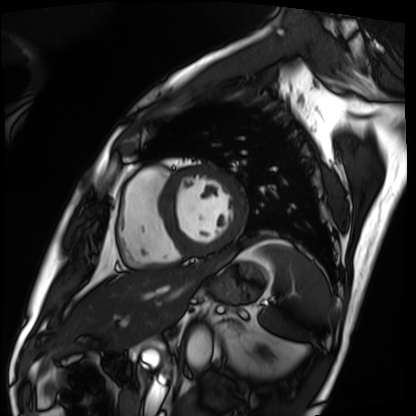
modality=cardiac MRI | subject group=patient.